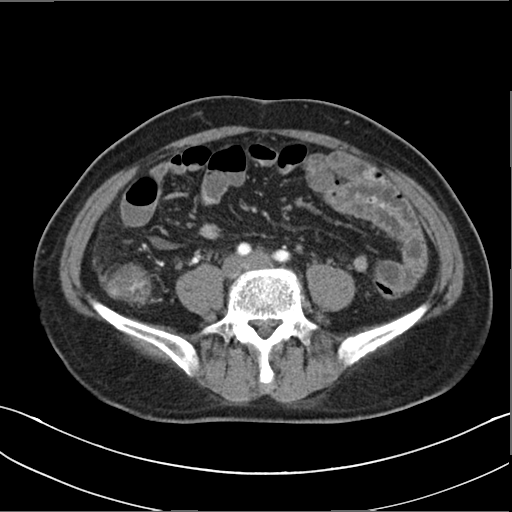
Multiphase abdominal CT, liver, arterial phase. Patient: male, age 50. History: cirrhosis, viral hepatitis.